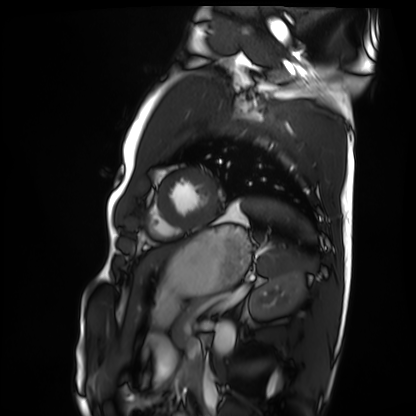
Q: What kind of scan is this?
A: Cardiac MRI.
Subject group: healthy volunteer.